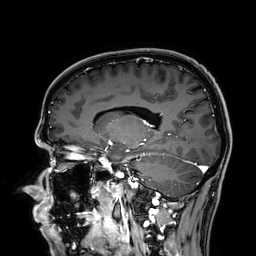
modality:
  type: brain MRI
  field_strength: 3T
series: 3D T1-weighted
study_topic: ring-enhancing brain masses